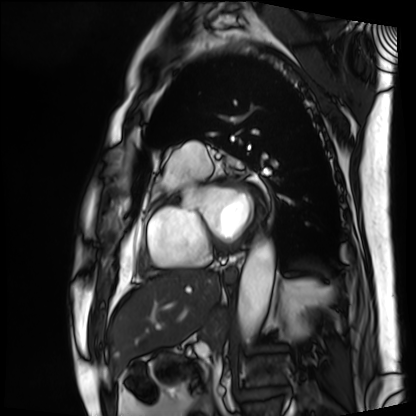
modality: cardiac MRI | subject group: patient.